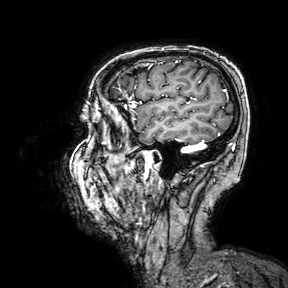
3 Tesla brain MRI. Series: 3D T1-weighted turbo field echo with SENSE. Study: ring-enhancing brain masses.